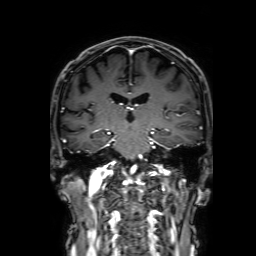
{"modality": {"type": "brain MRI", "field_strength": "3T"}, "series": "3D T1-weighted with SENSE", "study_topic": "ring-enhancing brain masses"}